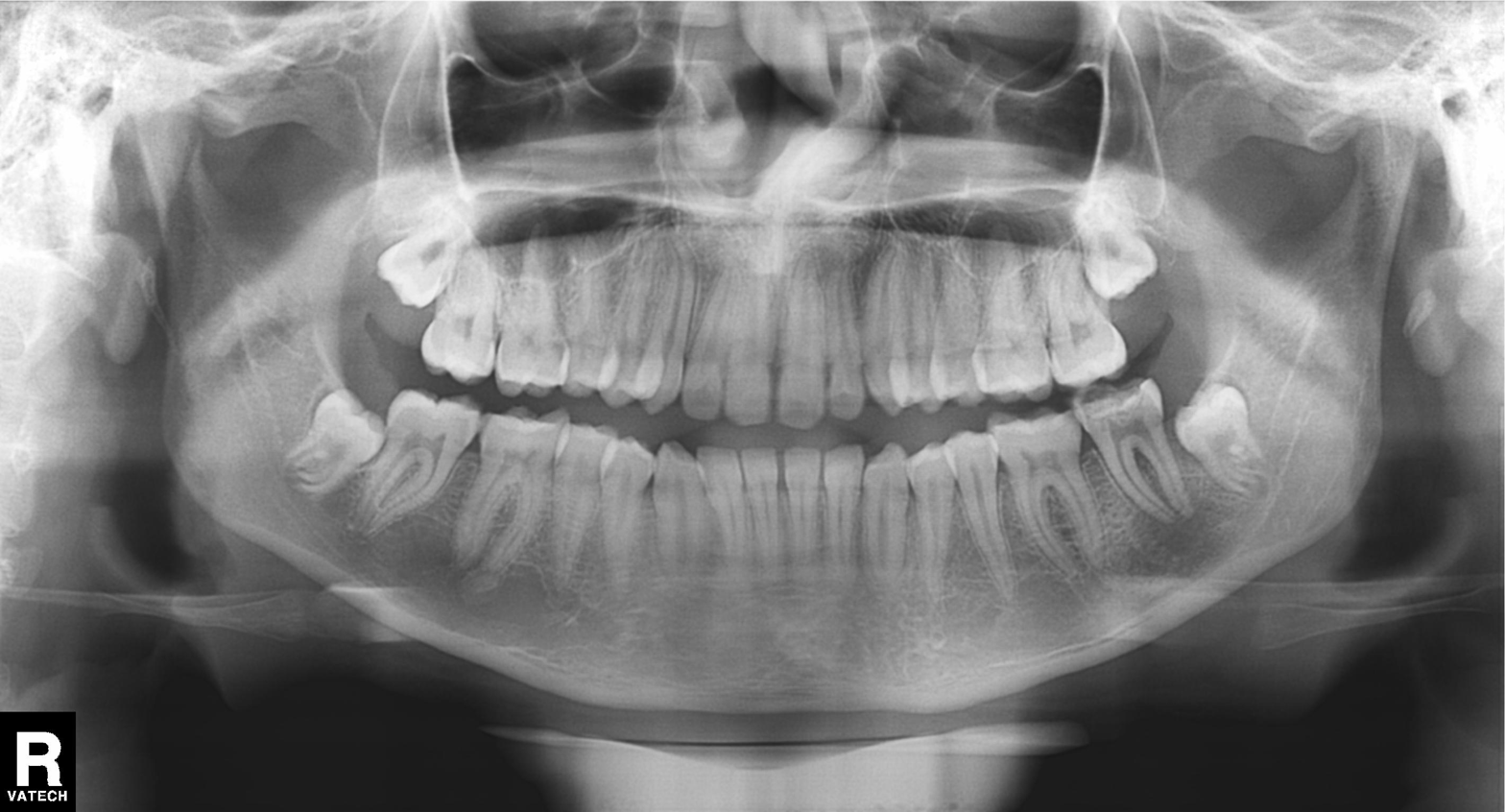
Findings:
– modality · panoramic dental radiograph (orthopantomogram)
– finding · alveolar bone loss